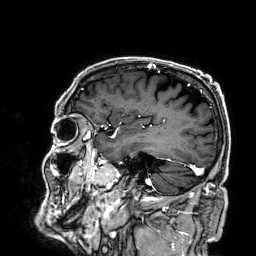
Q: What kind of scan is this?
A: 3 Tesla brain MRI.
Q: Series?
A: 3D T1-weighted.
Study: ring-enhancing brain masses.